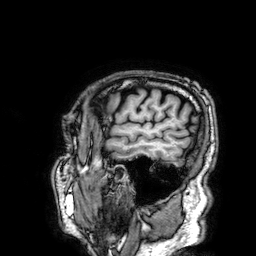
Case summary: 3 Tesla brain MRI. Study: ring-enhancing brain masses.